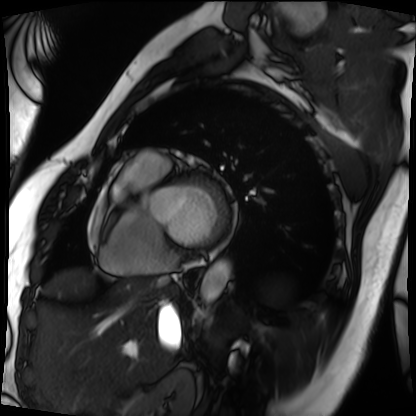
Q: What kind of scan is this?
A: Cardiac MRI.
Subject group: patient.